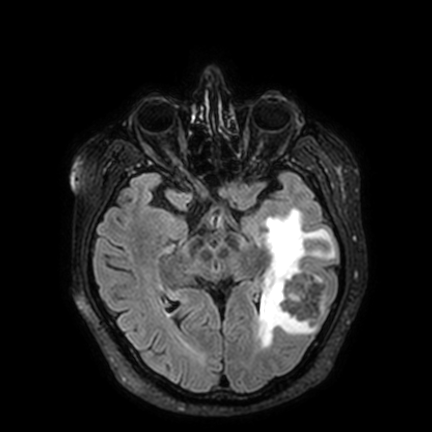
modality — 3 Tesla brain MRI | series — FLAIR VISTA with SENSE | study — ring-enhancing brain masses.